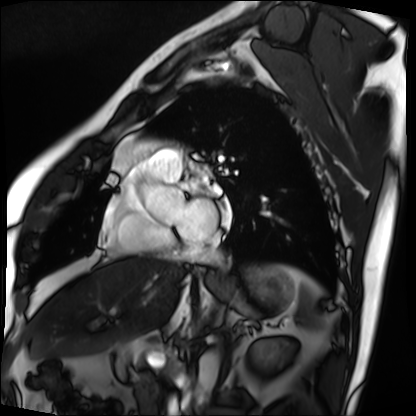
Cardiac MRI. Subject group: patient.